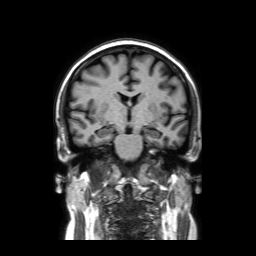
3 Tesla brain MRI.
Series: coronal without contrast.
Study: ring-enhancing brain masses.